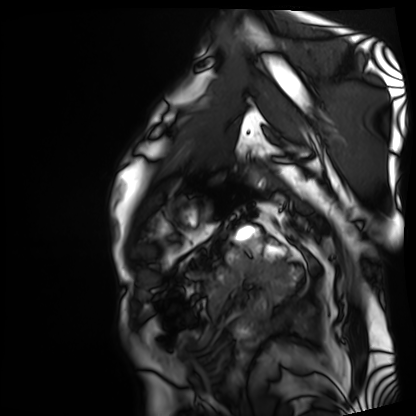
Clinical context:
Cardiac MRI. Subject group: patient.